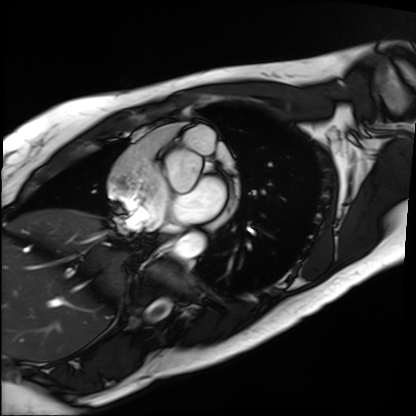
Cardiac MRI.
Subject group: patient.